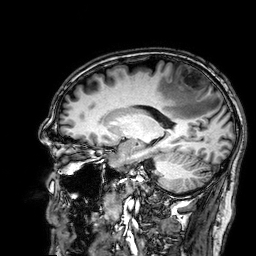
3 Tesla brain MRI. Series: 3D T1-weighted. Study: ring-enhancing brain masses.